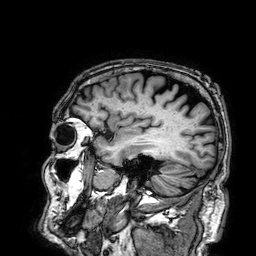
Clinical context: 3 Tesla brain MRI. Series: 3D T1-weighted. Study: ring-enhancing brain masses.